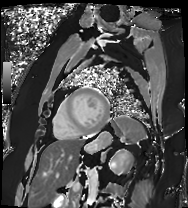
Cardiac MRI. Subject group: patient.